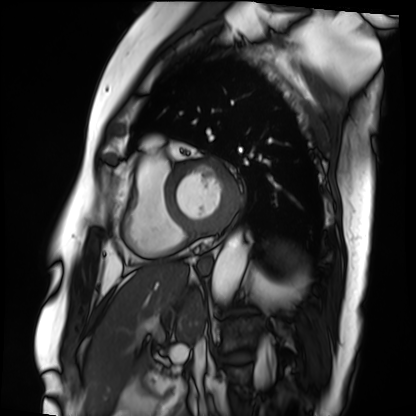
• modality · cardiac MRI
• subject group · patient